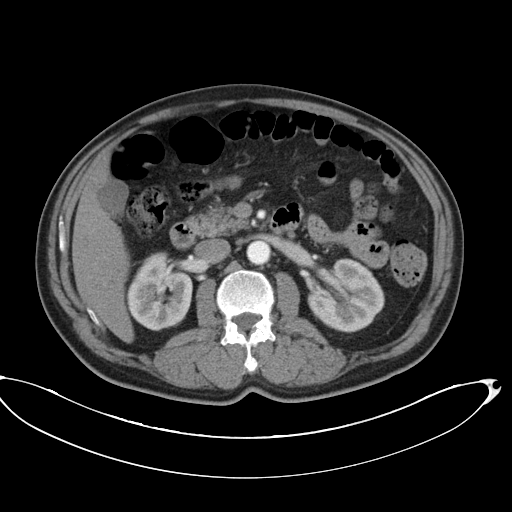
| field | value |
|---|---|
| modality | multiphase abdominal CT, liver, arterial phase |
| patient | male, age 67 |